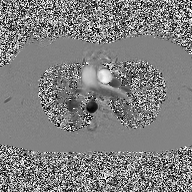
| field | value |
|---|---|
| modality | 2D phase-contrast cine MRI of the ascending aorta |